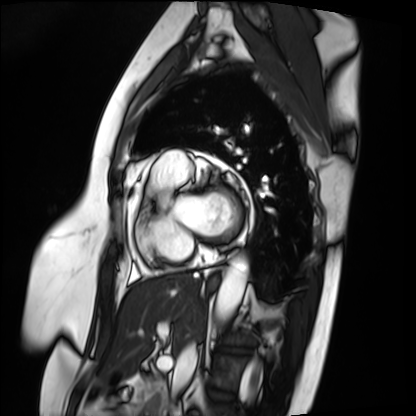
modality: cardiac MRI | subject group: patient.